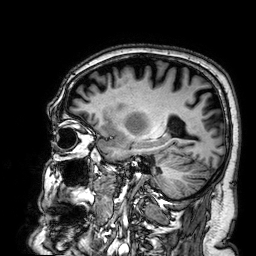
3 Tesla brain MRI. Series: 3D T1-weighted. Study: ring-enhancing brain masses.